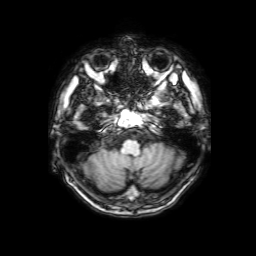
3 Tesla brain MRI. Series: 3D T1-weighted with SENSE. Study: ring-enhancing brain masses.